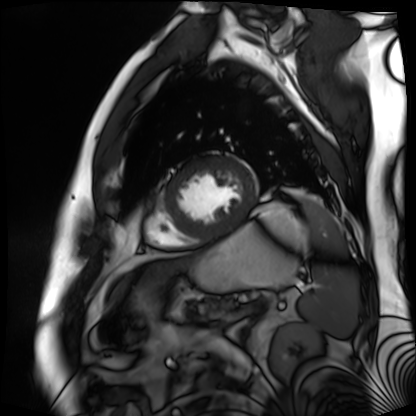
Q: What kind of scan is this?
A: Cardiac MR image of the myocardium.
Subject cohort: cardiac patient.